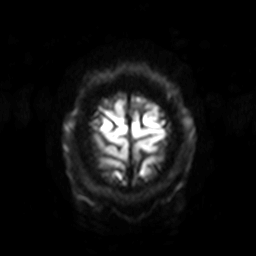
modality = 3 Tesla brain MRI
series = diffusion-weighted imaging with SENSE (WIP)
study = ring-enhancing brain masses